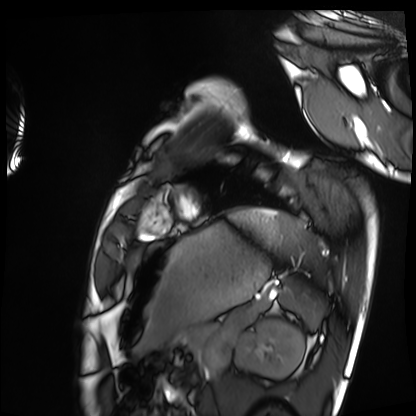
modality: cardiac MRI
subject group: healthy volunteer